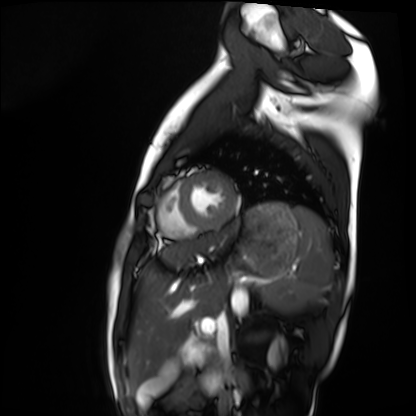
modality: cardiac MRI, subject group: healthy volunteer.